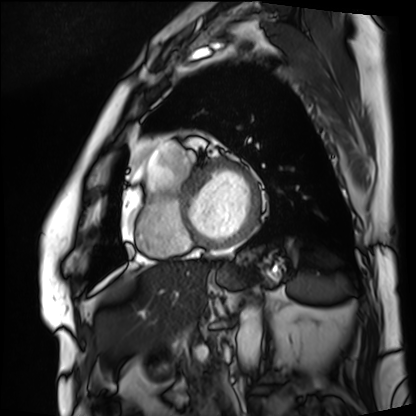
modality: cardiac MRI
cohort: patient